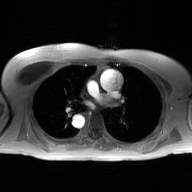
modality:
  type: 2D phase-contrast cine MRI
  region: ascending aorta
  reconstruction: GAN super-resolution reconstruction